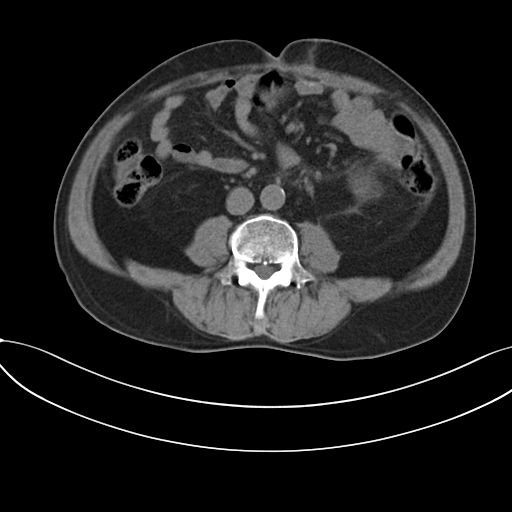
Q: What kind of scan is this?
A: Multiphase abdominal CT, liver, non-contrast phase.
Q: Patient?
A: Male, age 56.
Q: History?
A: Prior chemotherapy.